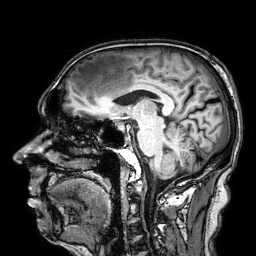
Summary: 3 Tesla brain MRI. Series: 3D T1-weighted. Study: ring-enhancing brain masses.